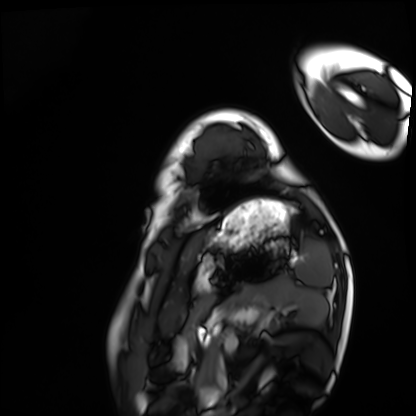
Q: What kind of scan is this?
A: Cardiac MRI.
Subject group: healthy volunteer.